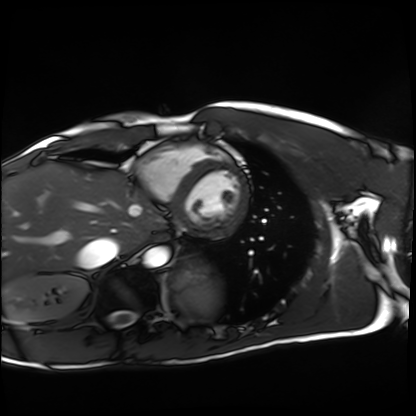
Summary:
Cardiac MRI. Subject group: healthy volunteer.